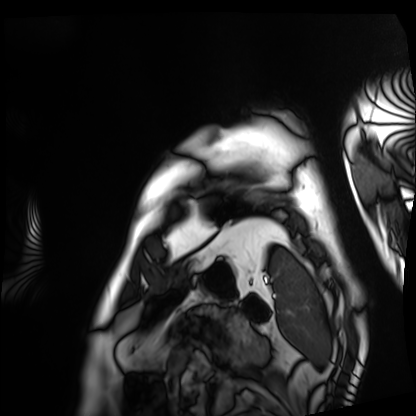
Cardiac MRI.
Subject group: patient.